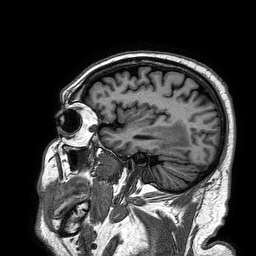
modality:
  type: brain MRI
  field_strength: 3T
series: 3D T1-weighted turbo field echo
study_topic: ring-enhancing brain masses